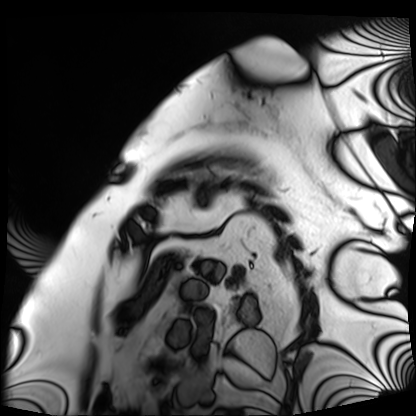
Case:
- modality · cardiac MRI
- subject group · patient